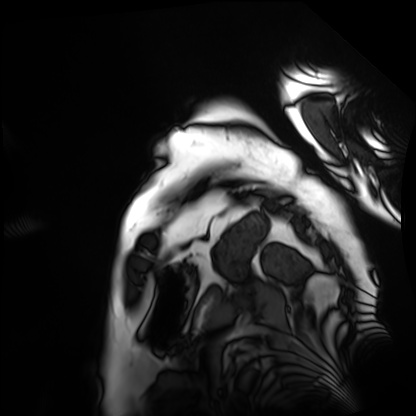
| field | value |
|---|---|
| modality | cardiac MRI |
| subject group | patient |